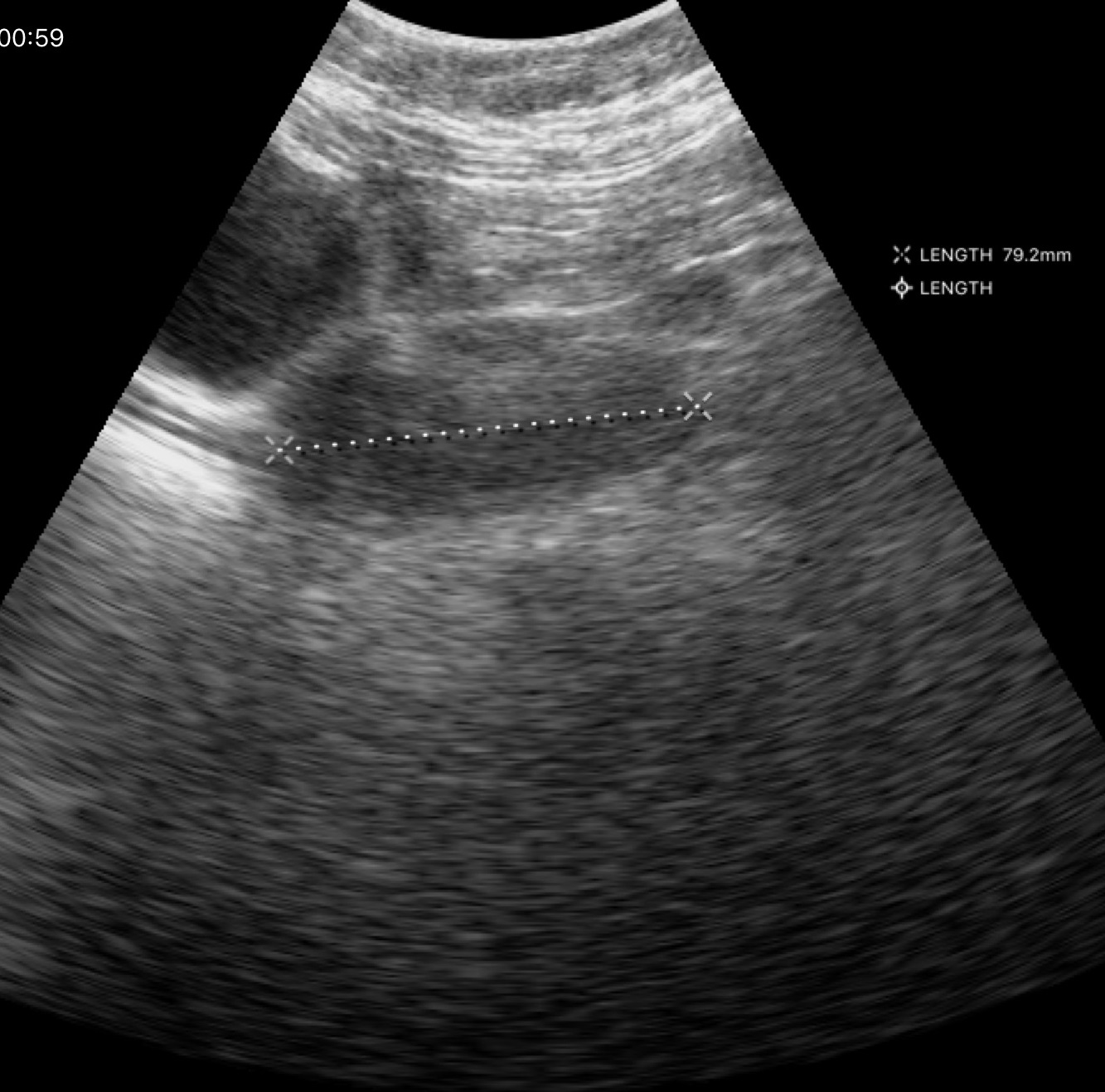
Case:
* modality: genitourinary ultrasound